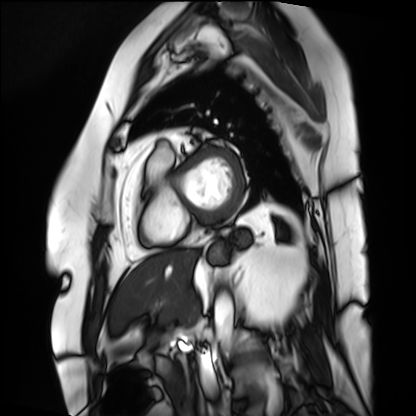
Summary:
Cardiac MRI. Subject group: patient.